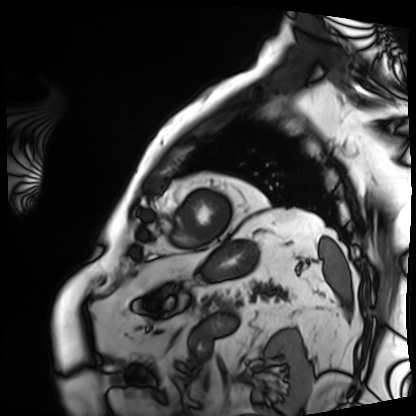
| field | value |
|---|---|
| modality | cardiac MRI |
| subject group | patient |